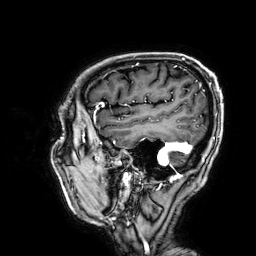
Summary: 3 Tesla brain MRI. Series: 3D T1-weighted. Study: ring-enhancing brain masses.